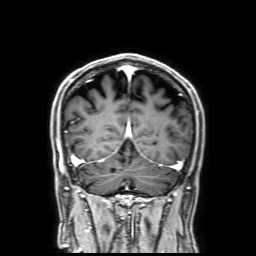
{
  "modality": {
    "type": "brain MRI",
    "field_strength": "3T"
  },
  "series": "3D T1-weighted with SENSE",
  "study_topic": "ring-enhancing brain masses"
}